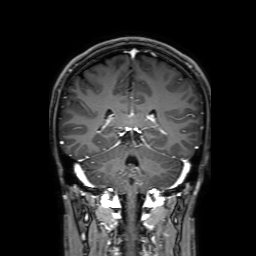
Clinical context:
3 Tesla brain MRI. Series: 3D T1-weighted with SENSE. Study: ring-enhancing brain masses.